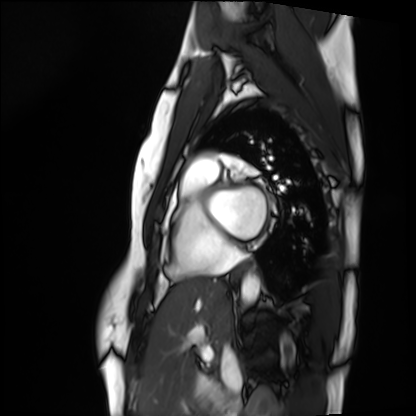
Cardiac MRI. Subject group: healthy volunteer.